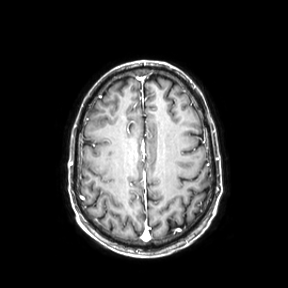
* modality: 3 Tesla brain MRI
* series: axial
* study: ring-enhancing brain masses